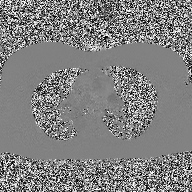
Case:
- modality: 2D phase-contrast cine MRI of the ascending aorta